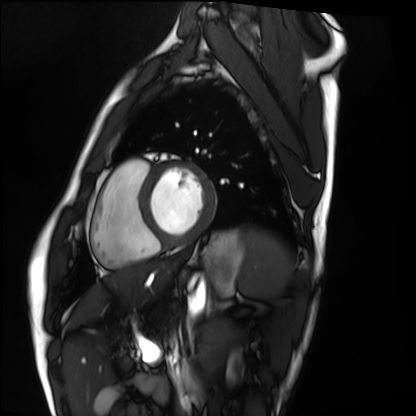
Cardiac MRI.
Subject group: healthy volunteer.